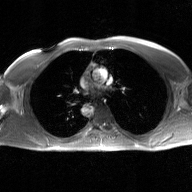
Summary:
2D phase-contrast cine MRI of the ascending aorta, GAN super-resolution reconstruction.